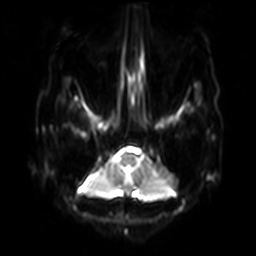
3 Tesla brain MRI.
Series: diffusion-weighted imaging with SENSE (WIP).
Study: ring-enhancing brain masses.